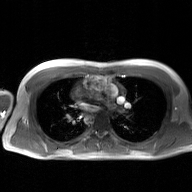
Q: What kind of scan is this?
A: 2D phase-contrast cine MRI of the ascending aorta, GAN super-resolution reconstruction.